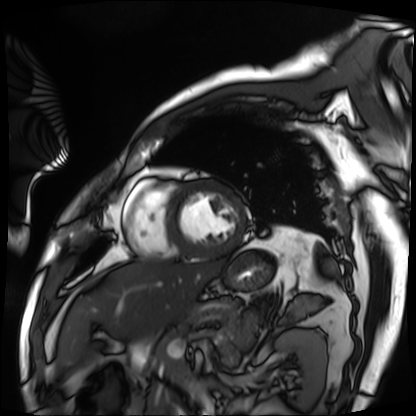
modality: cardiac MRI | subject group: patient.